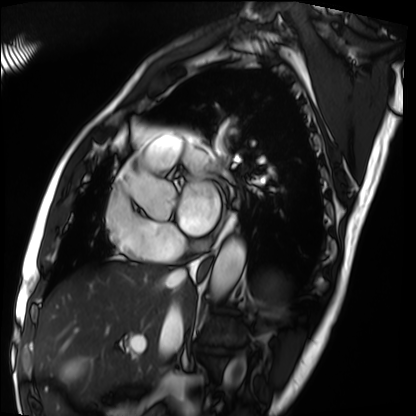
Summary:
Cardiac MRI. Subject group: patient.